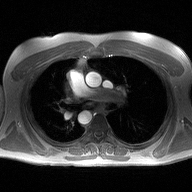
modality = 2D phase-contrast cine MRI of the ascending aorta